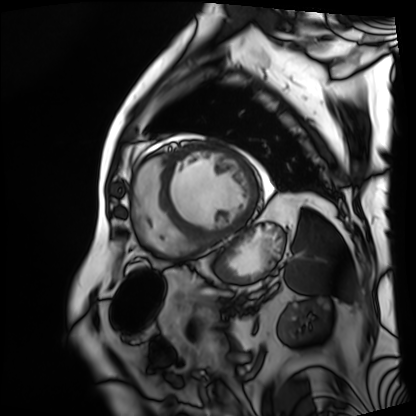
| field | value |
|---|---|
| modality | cardiac MRI |
| subject group | patient |